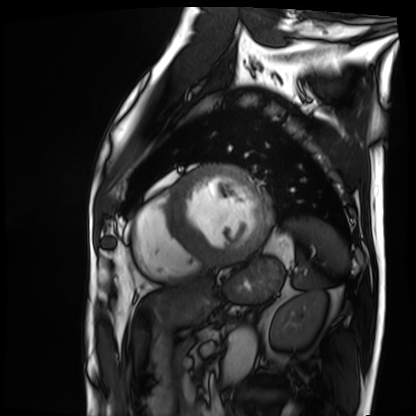
Q: What kind of scan is this?
A: Cardiac MRI.
Subject group: patient.